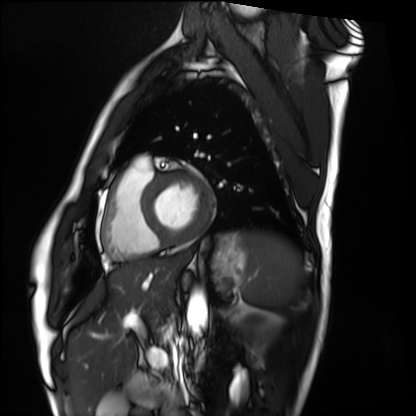
Cardiac MRI. Subject group: healthy volunteer.